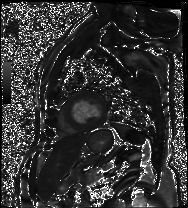
Cardiac MRI. Subject group: patient.